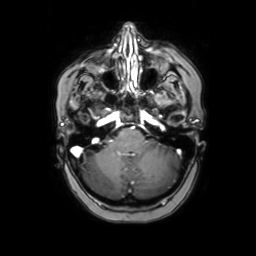
Summary: 3 Tesla brain MRI. Series: axial with contrast. Study: ring-enhancing brain masses.